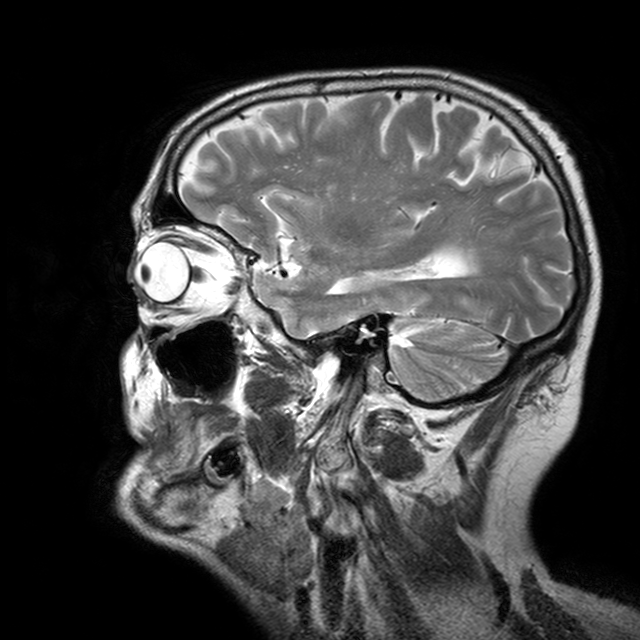
3 Tesla brain MRI. Series: T2-weighted turbo spin echo with CLEAR. Study: ring-enhancing brain masses.